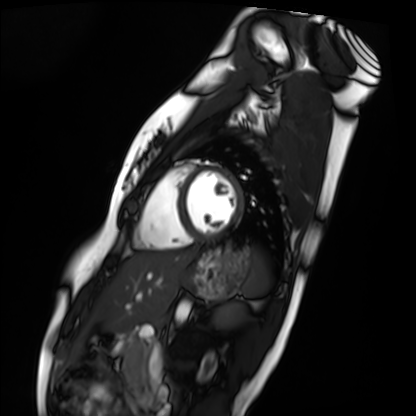
Cardiac MRI.
Subject group: healthy volunteer.